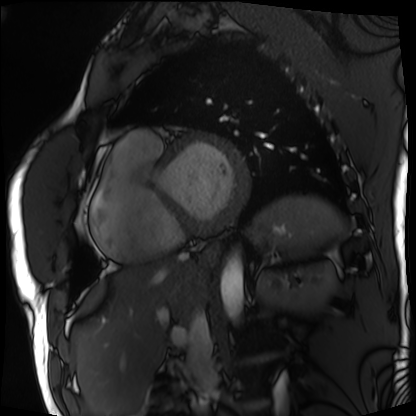
Case:
* modality — cardiac MRI
* subject group — patient